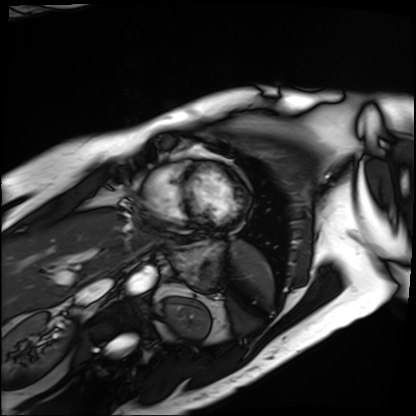
{
  "modality": "cardiac MRI",
  "cohort": "patient"
}